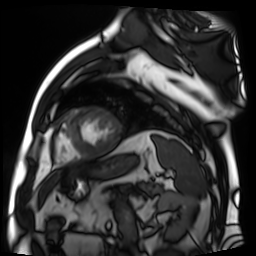
Summary: Cardiac MR image of the myocardium. Subject cohort: cardiac patient.